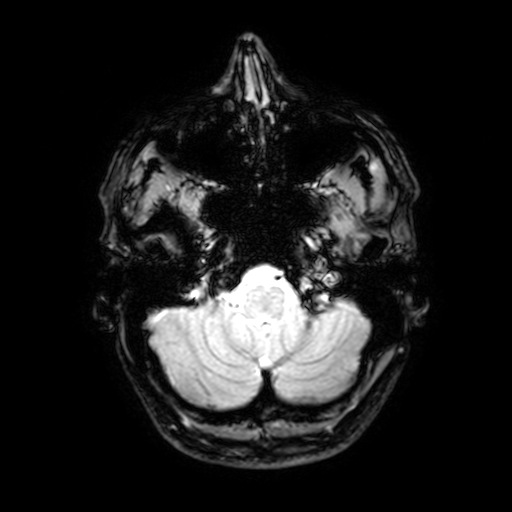
3 Tesla brain MRI.
Series: T2-weighted fast field echo with SENSE.
Study: ring-enhancing brain masses.